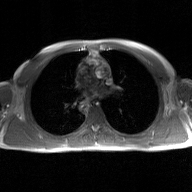
Summary: 2D phase-contrast cine MRI of the ascending aorta, GAN super-resolution reconstruction.